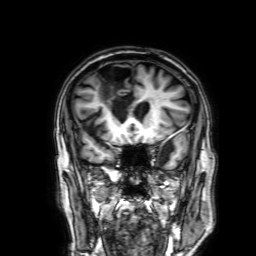
modality=3 Tesla brain MRI; series=3D T1-weighted with SENSE; study=ring-enhancing brain masses.